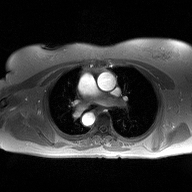
| field | value |
|---|---|
| modality | 2D phase-contrast cine MRI of the ascending aorta |